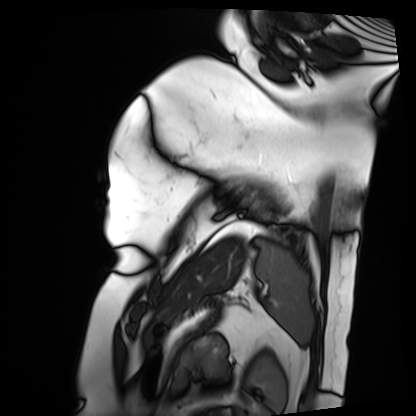
Cardiac MRI. Subject group: patient.